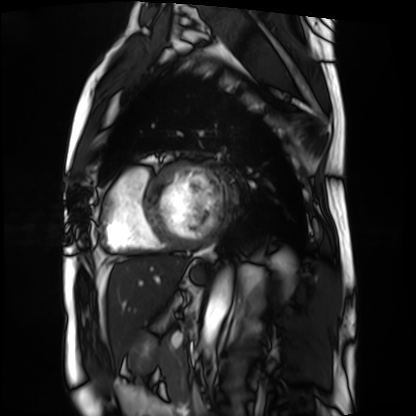
Summary: Cardiac MRI. Subject group: patient.